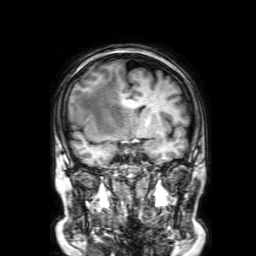
3 Tesla brain MRI.
Series: 3D T1-weighted with SENSE.
Study: ring-enhancing brain masses.